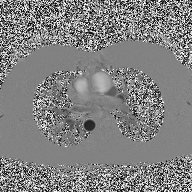
2D phase-contrast cine MRI of the ascending aorta, high-resolution GRAPPA acquisition.